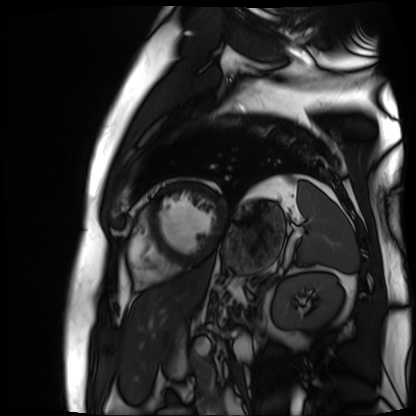
Summary:
Cardiac MR image of the myocardium. Subject cohort: cardiac patient.